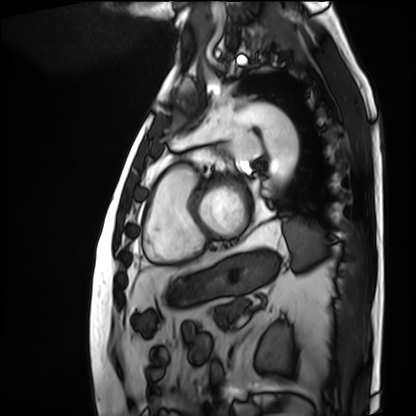
<scan>
  <modality>cardiac MRI</modality>
  <cohort>patient</cohort>
</scan>